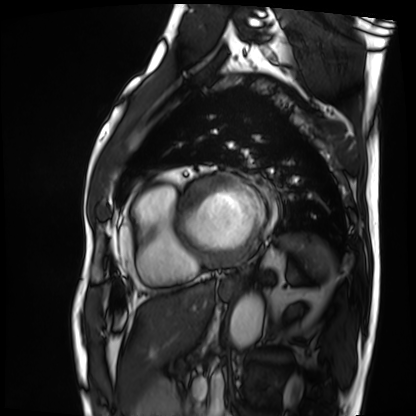
modality: cardiac MRI; subject group: patient.